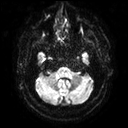
Q: What kind of scan is this?
A: 3 Tesla brain MRI.
Q: Series?
A: Diffusion tensor imaging (medium iso).
Study: ring-enhancing brain masses.